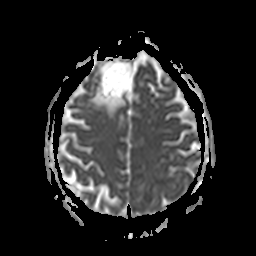
3 Tesla brain MRI. Series: apparent diffusion coefficient (ADC) map. Study: ring-enhancing brain masses.